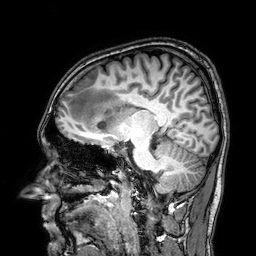
<scan>
<modality>
  <type>brain MRI</type>
  <field_strength>3T</field_strength>
</modality>
<series>3D T1-weighted</series>
<study_topic>ring-enhancing brain masses</study_topic>
</scan>